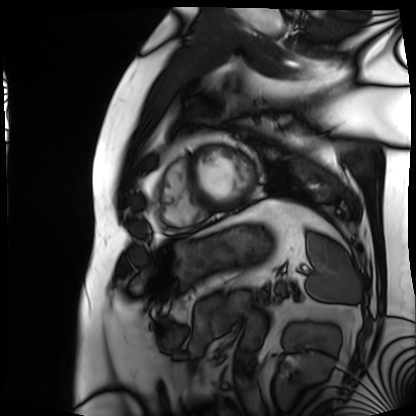
<record>
<modality>cardiac MRI</modality>
<cohort>patient</cohort>
</record>